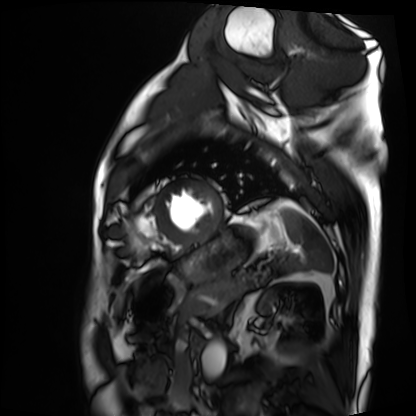
- modality: cardiac MRI
- subject group: patient